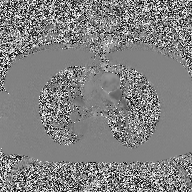
  modality:
    type: 2D phase-contrast cine MRI
    region: ascending aorta
    reconstruction: high-resolution GRAPPA acquisition